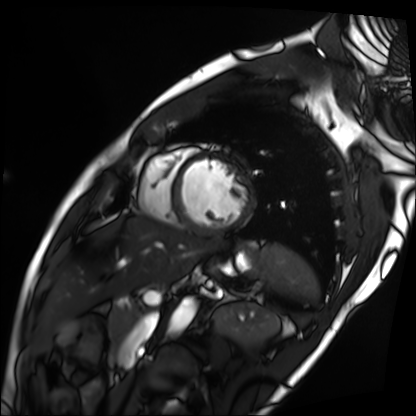
– modality · cardiac MRI
– subject group · patient